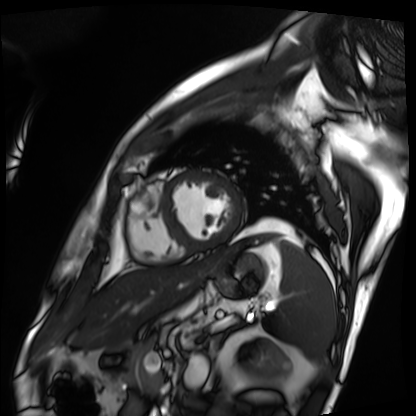
Summary:
Cardiac MRI. Subject group: patient.